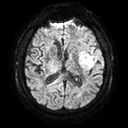
3 Tesla brain MRI. Series: diffusion tensor imaging (medium iso). Study: ring-enhancing brain masses.